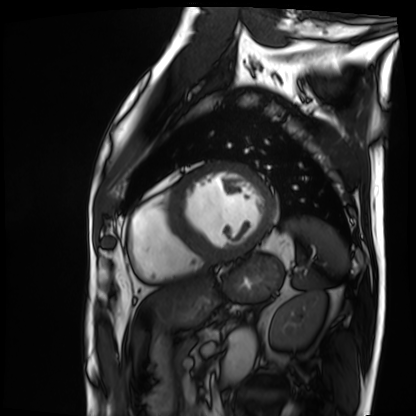
Cardiac MRI.
Subject group: patient.